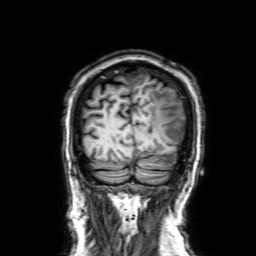
Clinical context: 3 Tesla brain MRI. Series: 3D T1-weighted with SENSE. Study: ring-enhancing brain masses.